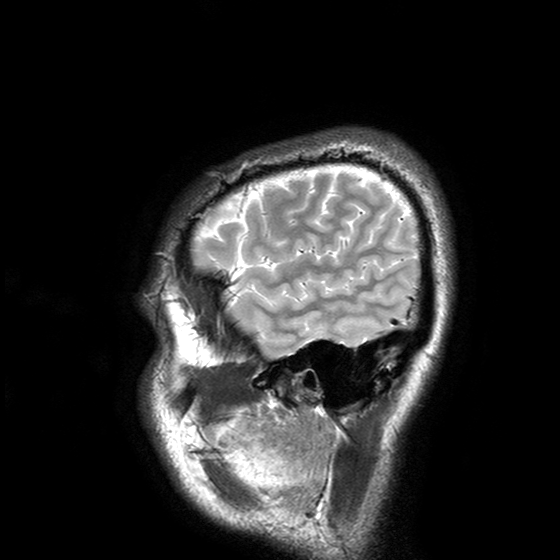
{"modality": {"type": "brain MRI", "field_strength": "3T"}, "series": "T2-weighted turbo spin echo with SENSE", "study_topic": "ring-enhancing brain masses"}